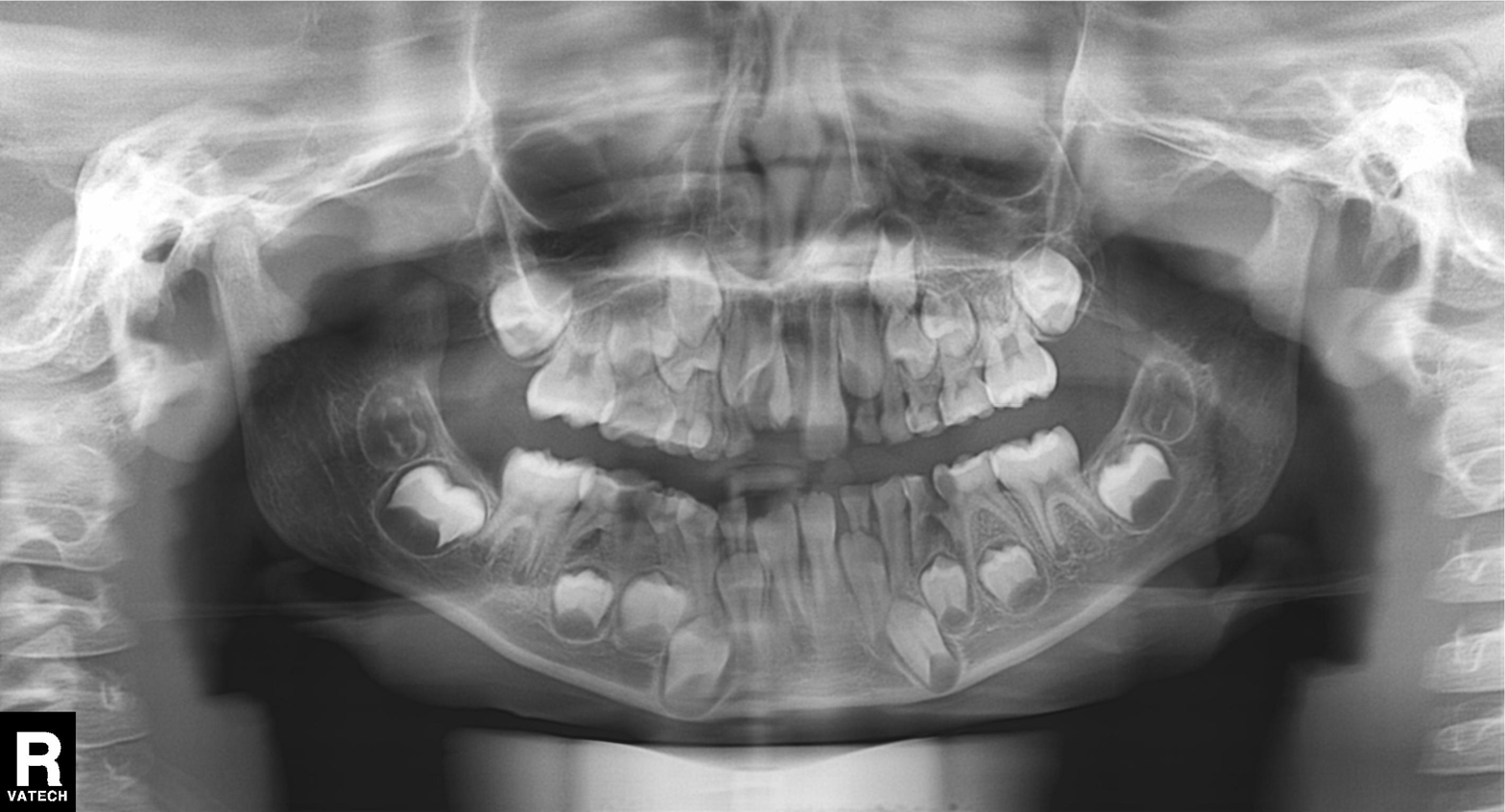
Panoramic dental radiograph (orthopantomogram).
Finding: alveolar bone loss.